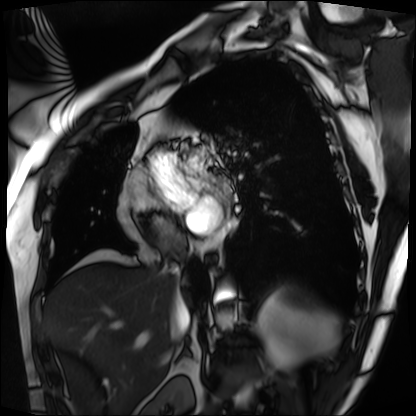
Summary: Cardiac MRI. Subject group: patient.